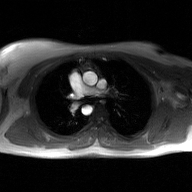
modality = 2D phase-contrast cine MRI of the ascending aorta, GAN super-resolution reconstruction.